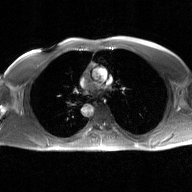
2D phase-contrast cine MRI of the ascending aorta, GAN super-resolution reconstruction.